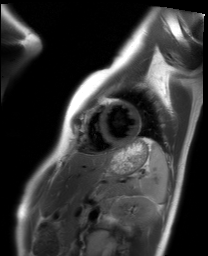
modality: cardiac MRI, subject group: healthy volunteer.